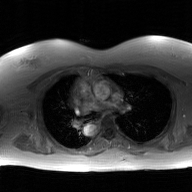
Q: What kind of scan is this?
A: 2D phase-contrast cine MRI of the ascending aorta, GAN super-resolution reconstruction.